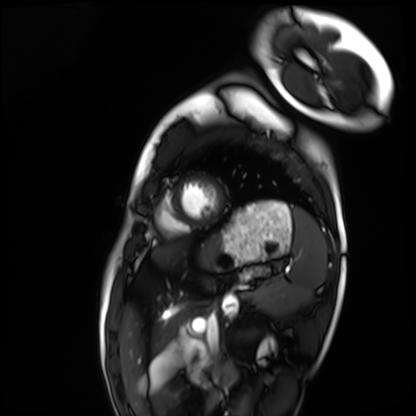
Summary:
Cardiac MRI. Subject group: healthy volunteer.